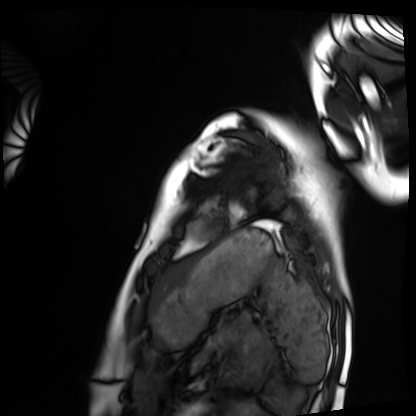
Cardiac MRI.
Subject group: healthy volunteer.